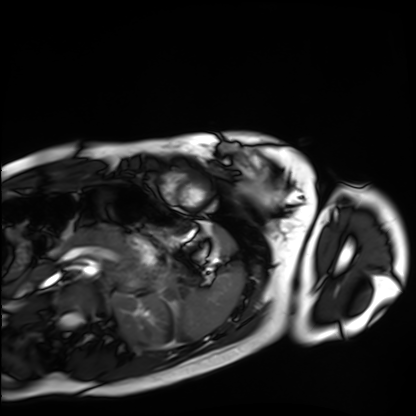
modality = cardiac MRI
subject group = healthy volunteer